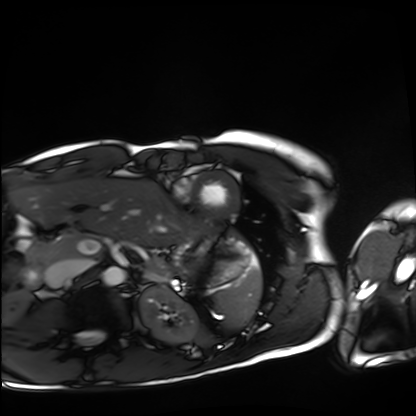
modality=cardiac MRI | subject group=healthy volunteer.